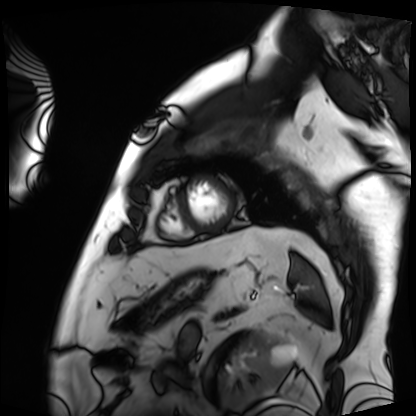
Q: What kind of scan is this?
A: Cardiac MRI.
Subject group: patient.